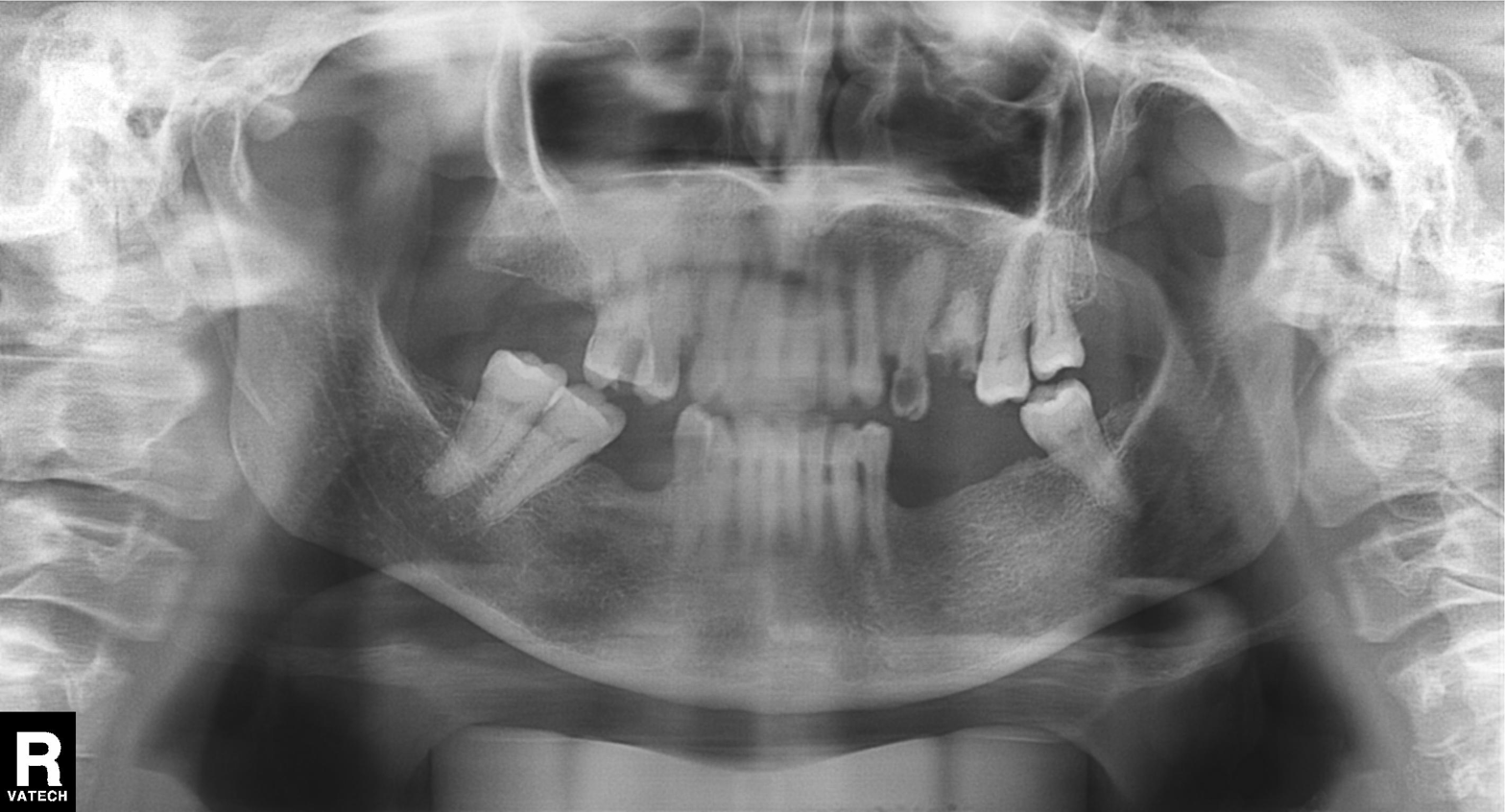
| field | value |
|---|---|
| modality | panoramic dental radiograph (orthopantomogram) |
| finding | alveolar bone loss |